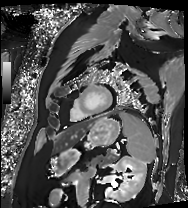
modality: cardiac MRI
cohort: patient